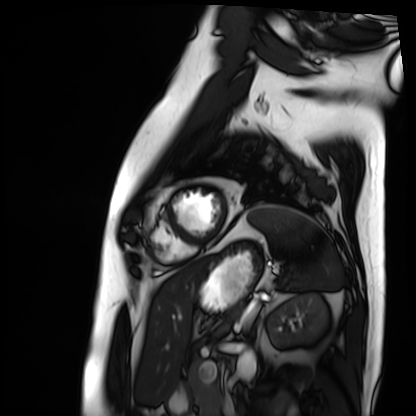
Cardiac MRI. Subject group: patient.